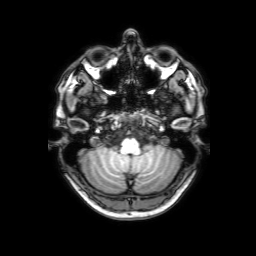
| field | value |
|---|---|
| modality | 3 Tesla brain MRI |
| series | 3D T1-weighted with SENSE |
| study | ring-enhancing brain masses |